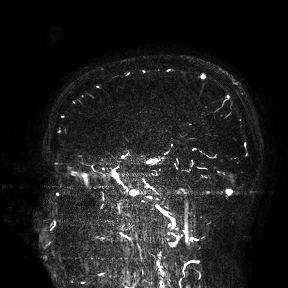
modality — 3 Tesla brain MRI
study — ring-enhancing brain masses